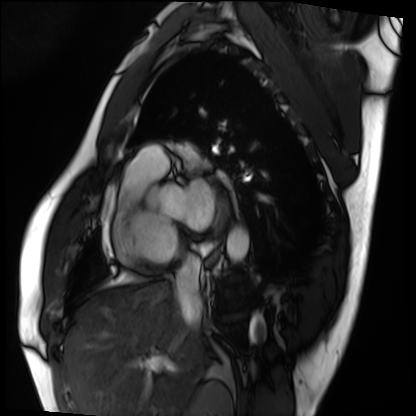
modality: cardiac MRI, subject group: patient.